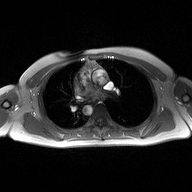
2D phase-contrast cine MRI of the ascending aorta, high-resolution GRAPPA acquisition.